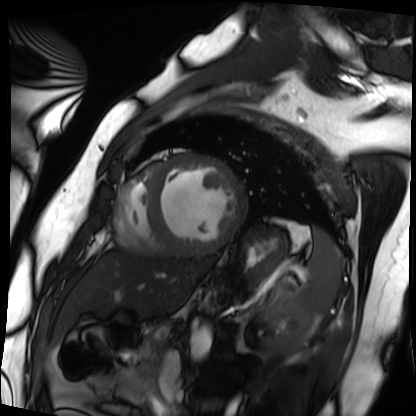
Cardiac MRI.
Subject group: patient.